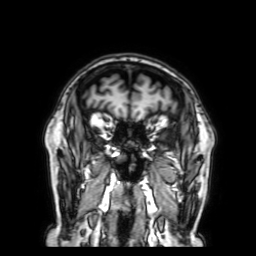
Summary:
3 Tesla brain MRI. Series: 3D T1-weighted with SENSE. Study: ring-enhancing brain masses.